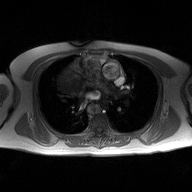
modality: 2D phase-contrast cine MRI of the ascending aorta.